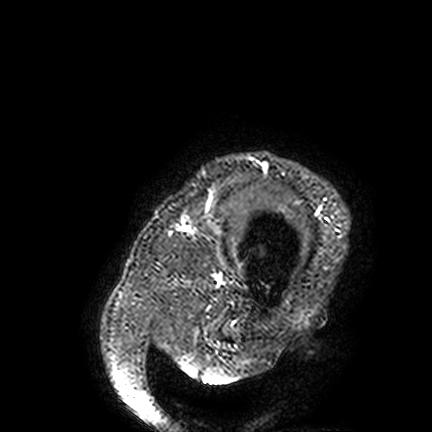
{"modality": {"type": "brain MRI", "field_strength": "3T"}, "study_topic": "ring-enhancing brain masses"}